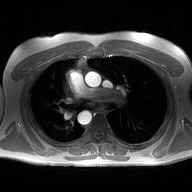
2D phase-contrast cine MRI of the ascending aorta, high-resolution GRAPPA acquisition.